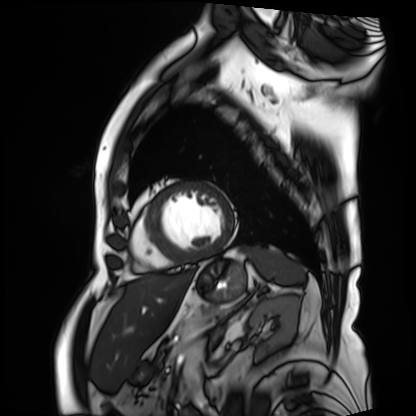
Summary:
Cardiac MRI. Subject group: patient.